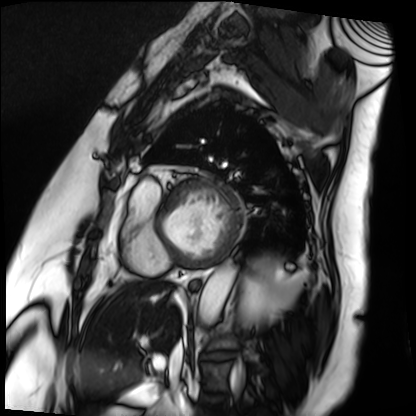
- modality — cardiac MRI
- subject group — patient